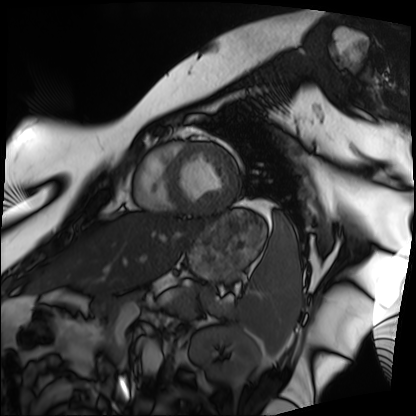
Cardiac MRI.
Subject group: patient.